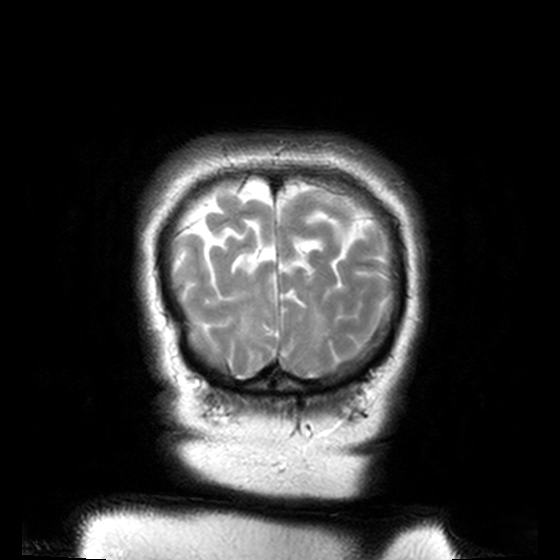
<record>
<modality>
  <type>brain MRI</type>
  <field_strength>3T</field_strength>
</modality>
<series>T2-weighted turbo spin echo, 3 mm</series>
<study_topic>ring-enhancing brain masses</study_topic>
</record>